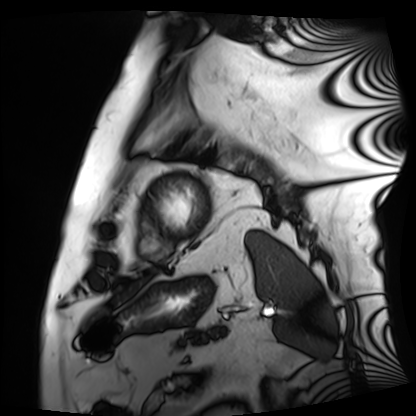
Q: What kind of scan is this?
A: Cardiac MRI.
Subject group: patient.